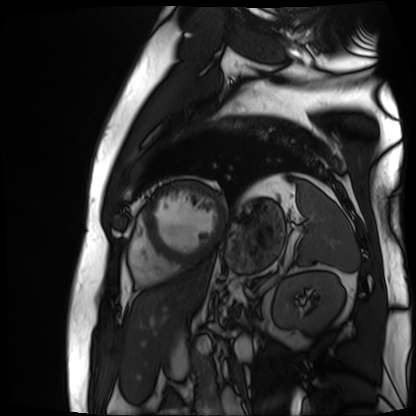
modality: cardiac MR image of the myocardium | subject cohort: cardiac patient.